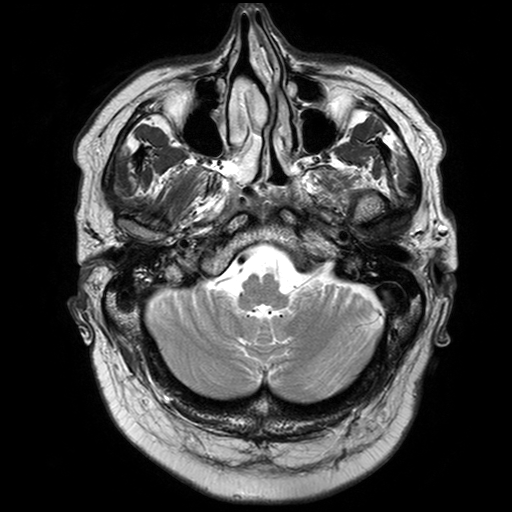
| field | value |
|---|---|
| modality | 3 Tesla brain MRI |
| series | T2-weighted turbo spin echo with SENSE |
| study | ring-enhancing brain masses |